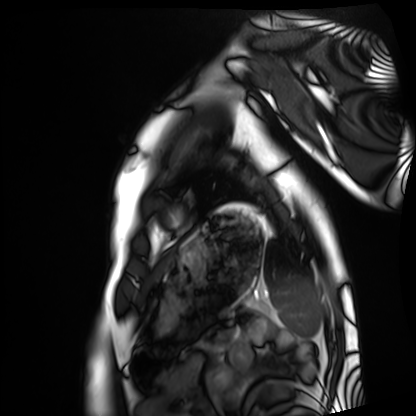
modality: cardiac MRI
subject group: healthy volunteer